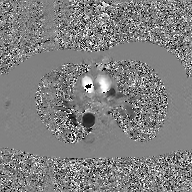
2D phase-contrast cine MRI of the ascending aorta, GAN super-resolution reconstruction.